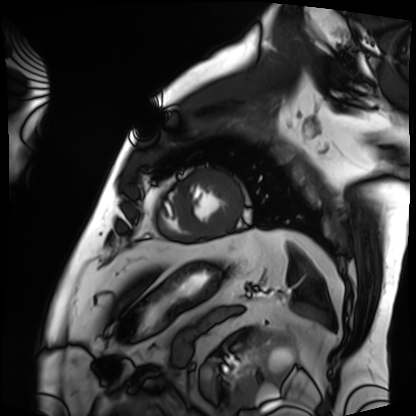
modality: cardiac MRI
subject group: patient